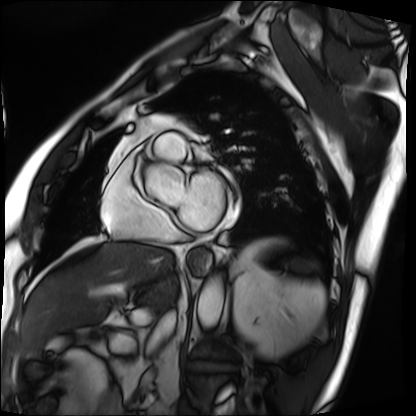
Cardiac MRI. Subject group: patient.